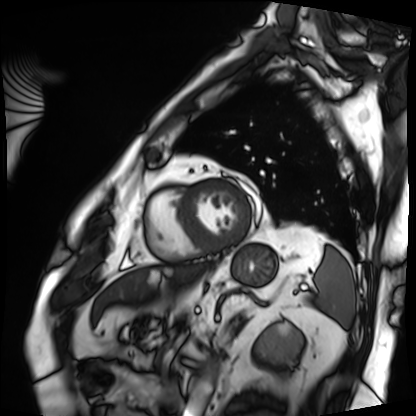
Cardiac MRI. Subject group: patient.